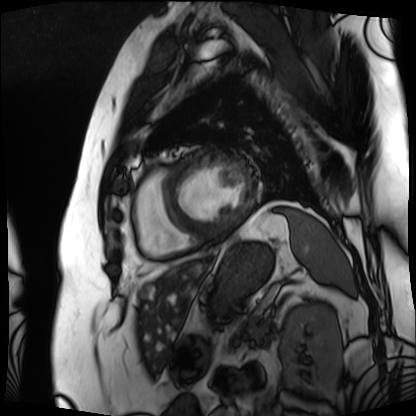
modality: cardiac MRI
cohort: patient